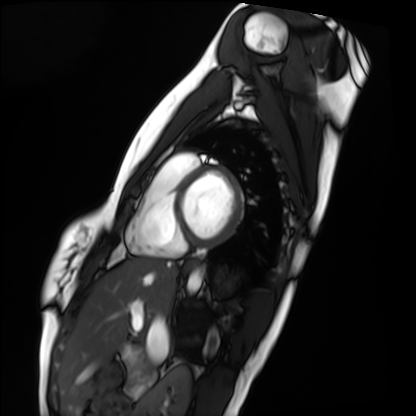
modality: cardiac MRI; subject group: healthy volunteer.